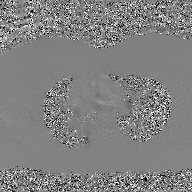
2D phase-contrast cine MRI of the ascending aorta, GAN super-resolution reconstruction.